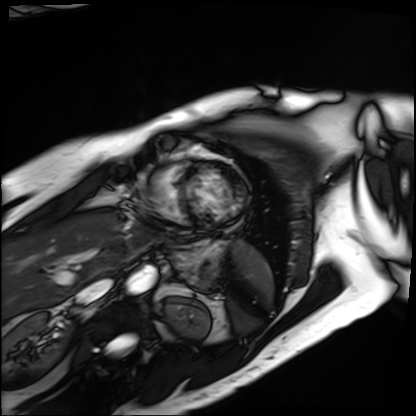
Q: What kind of scan is this?
A: Cardiac MRI.
Subject group: patient.